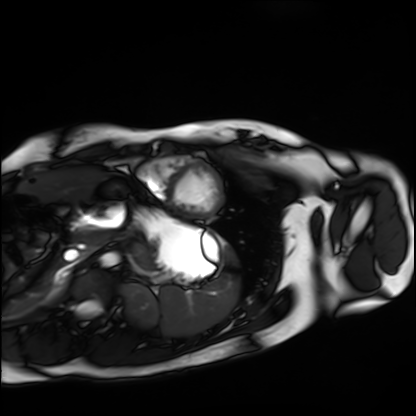
Case:
• modality · cardiac MRI
• subject group · healthy volunteer